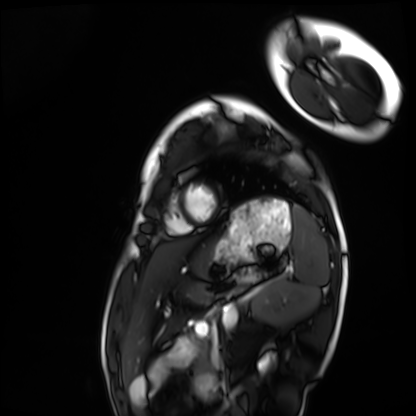
<study>
  <modality>cardiac MRI</modality>
  <cohort>healthy volunteer</cohort>
</study>